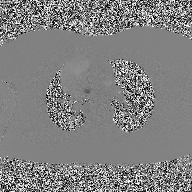
modality: 2D phase-contrast cine MRI of the ascending aorta.